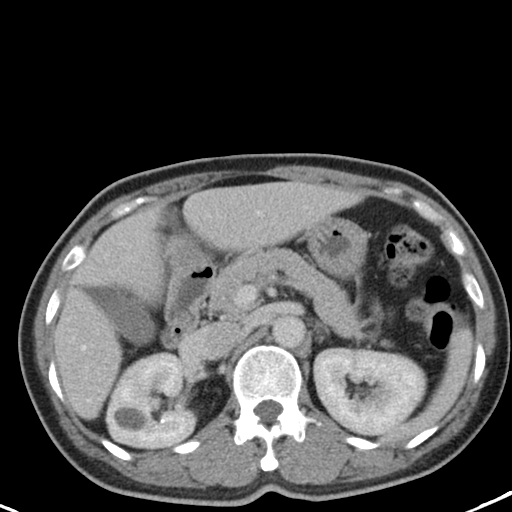
modality — multiphase abdominal CT, liver, portal venous phase; patient — female, age 48.